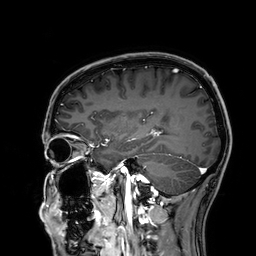
3 Tesla brain MRI. Study: ring-enhancing brain masses.